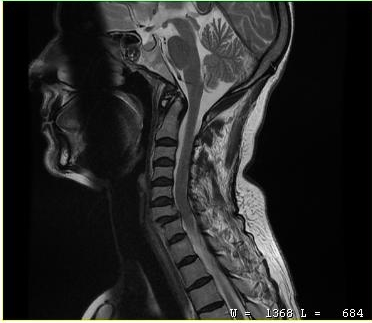
Summary: MRI of the cervical spine. Study: cervical spondylosis.